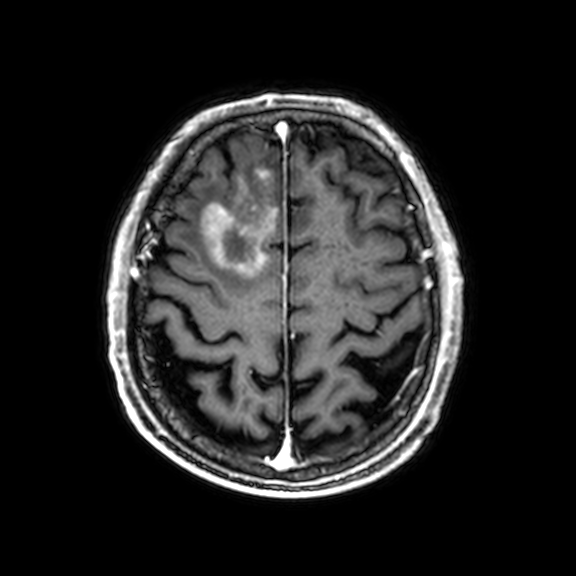
| field | value |
|---|---|
| modality | 3 Tesla brain MRI |
| study | ring-enhancing brain masses |